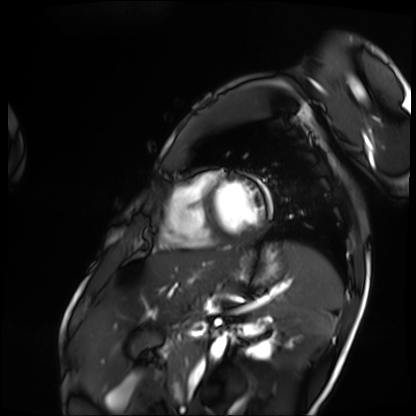
{"modality": "cardiac MRI", "cohort": "patient"}